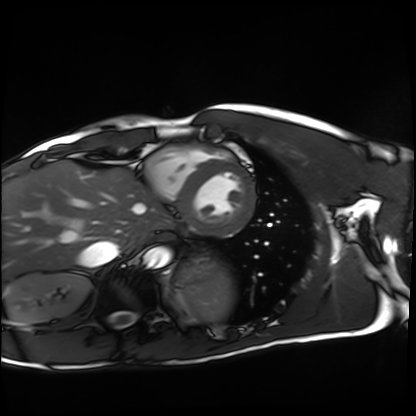
* modality: cardiac MRI
* subject group: healthy volunteer